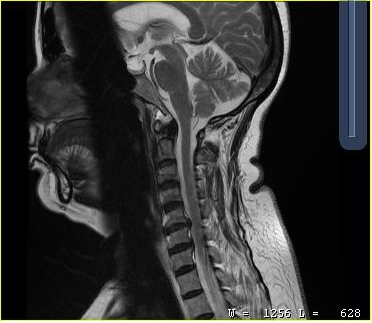
* modality · MRI of the cervical spine
* study · cervical spondylosis